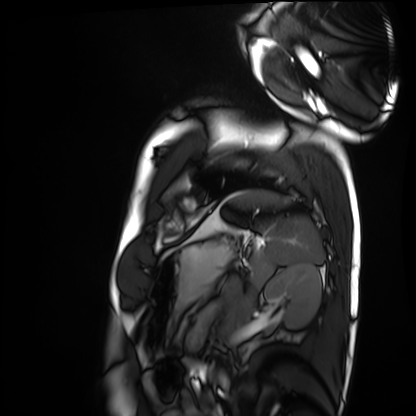
modality: cardiac MRI; subject group: healthy volunteer.